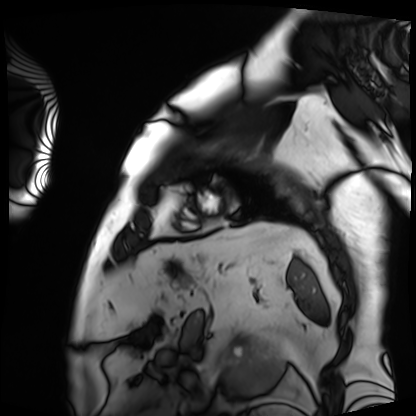
| field | value |
|---|---|
| modality | cardiac MRI |
| subject group | patient |